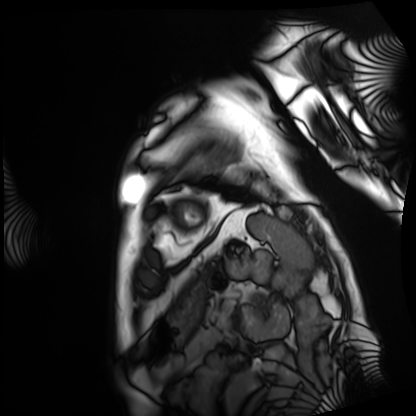
{
  "modality": "cardiac MRI",
  "cohort": "patient"
}